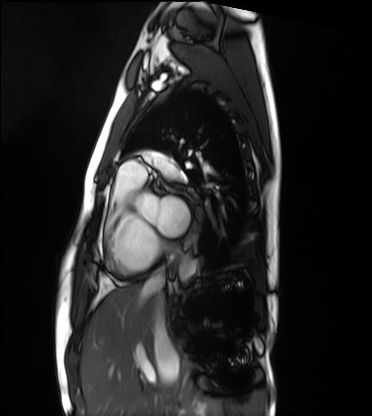
Cardiac MRI.
Subject group: healthy volunteer.